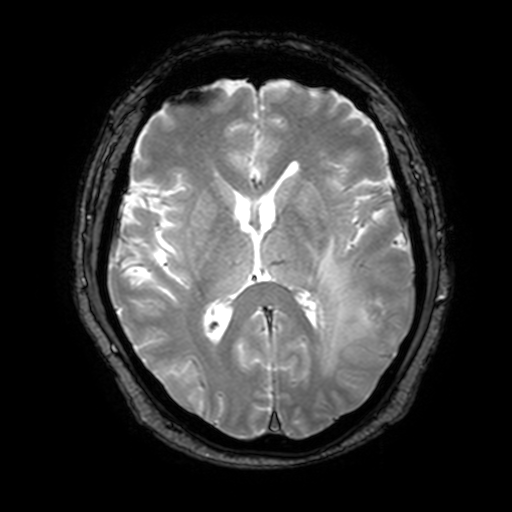
• modality · 3 Tesla brain MRI
• series · T2-weighted fast field echo with SENSE
• study · ring-enhancing brain masses